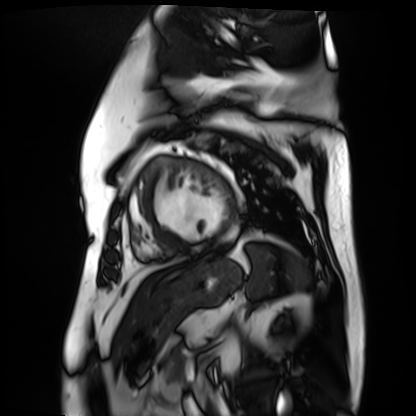
{
  "modality": "cardiac MR image of the myocardium",
  "cohort": "cardiac patient"
}